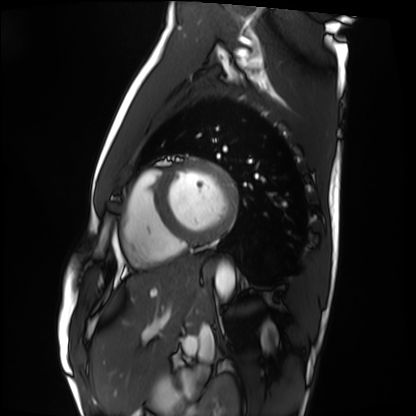
modality: cardiac MRI; subject group: healthy volunteer.